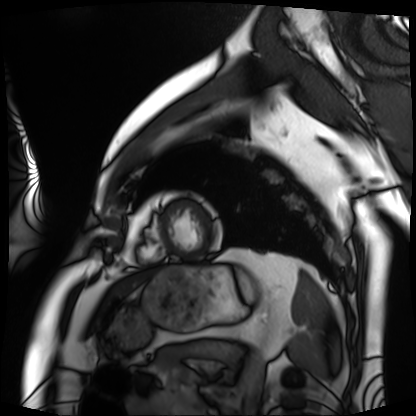
Cardiac MRI.
Subject group: patient.